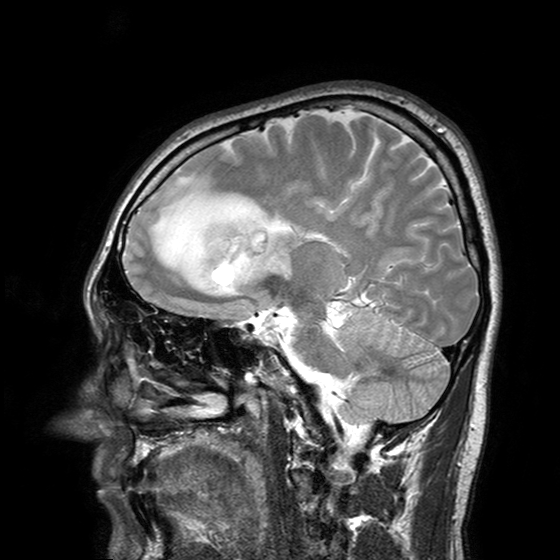
Clinical context: 3 Tesla brain MRI. Study: ring-enhancing brain masses.